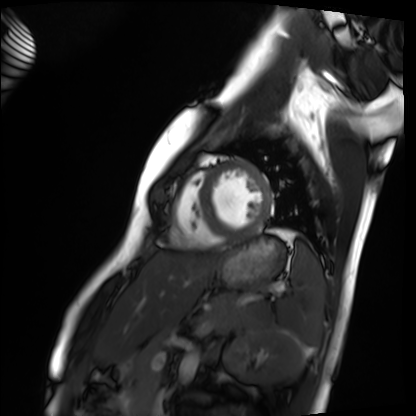
| field | value |
|---|---|
| modality | cardiac MRI |
| subject group | healthy volunteer |